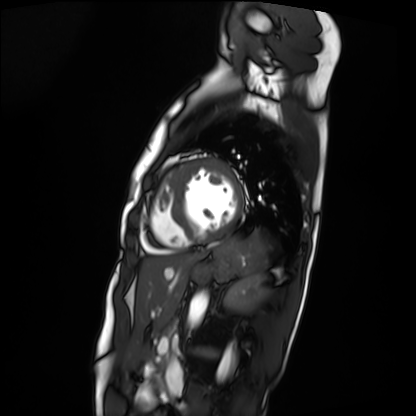
modality: cardiac MRI | subject group: patient.